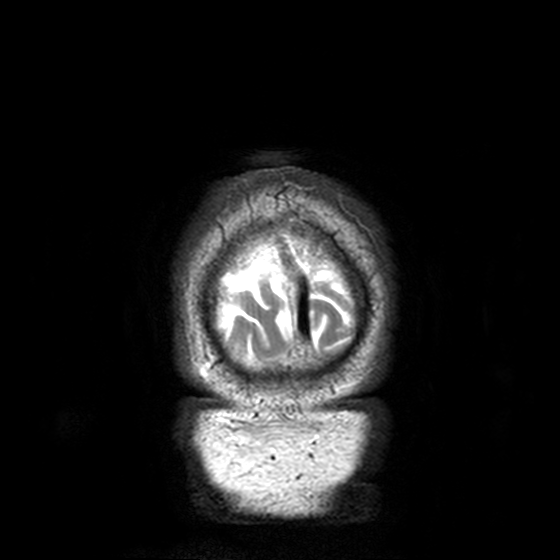
3 Tesla brain MRI.
Series: T2-weighted turbo spin echo, 3 mm.
Study: ring-enhancing brain masses.